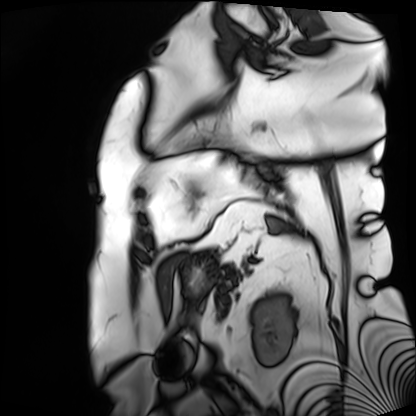
Cardiac MRI. Subject group: patient.